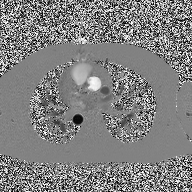
Summary:
2D phase-contrast cine MRI of the ascending aorta, high-resolution GRAPPA acquisition.